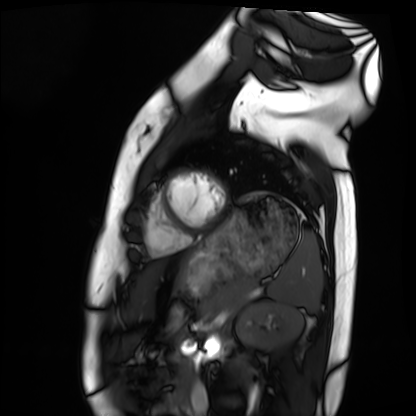
  modality: cardiac MRI
  cohort: healthy volunteer